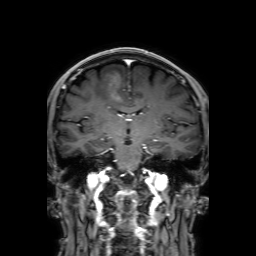
3 Tesla brain MRI. Study: ring-enhancing brain masses.